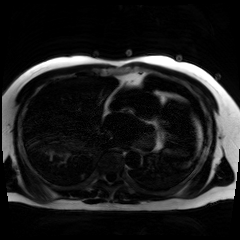
Case:
– modality — chemical-shift-encoded cardiac MRI